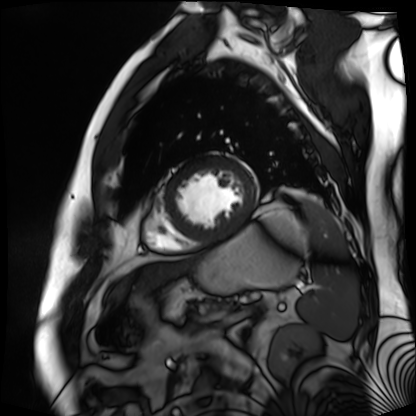
Case:
* modality · cardiac MR image of the myocardium
* subject cohort · cardiac patient